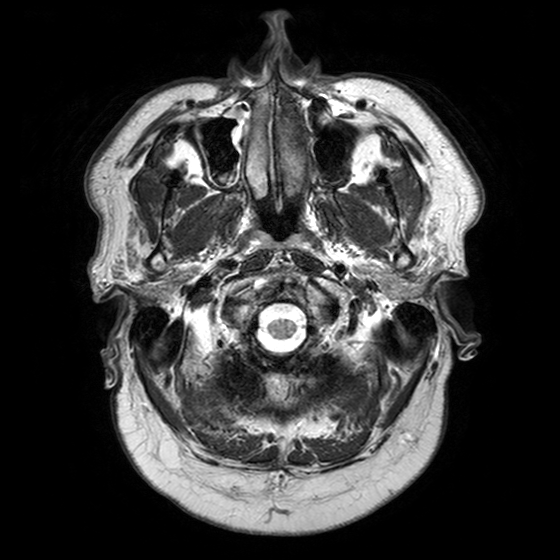
Summary:
3 Tesla brain MRI. Series: T2-weighted turbo spin echo with SENSE. Study: ring-enhancing brain masses.